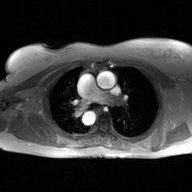
modality: 2D phase-contrast cine MRI of the ascending aorta, GAN super-resolution reconstruction.